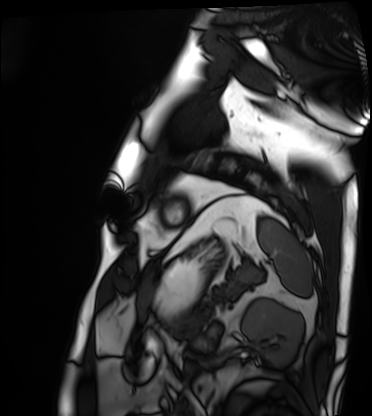
Summary: Cardiac MRI. Subject group: patient.